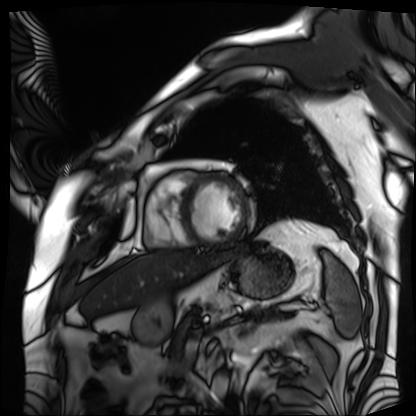
{"modality": "cardiac MRI", "cohort": "patient"}